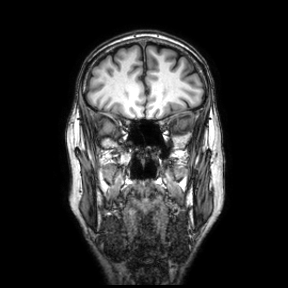
3 Tesla brain MRI. Series: coronal. Study: ring-enhancing brain masses.